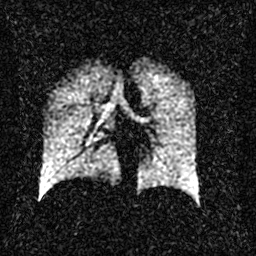
Summary:
Hyperpolarized 129Xe ventilation MRI of the lungs. SNR level 2 of 8 (the deposit holds this scan as its native image and as seven SNR-degraded versions).